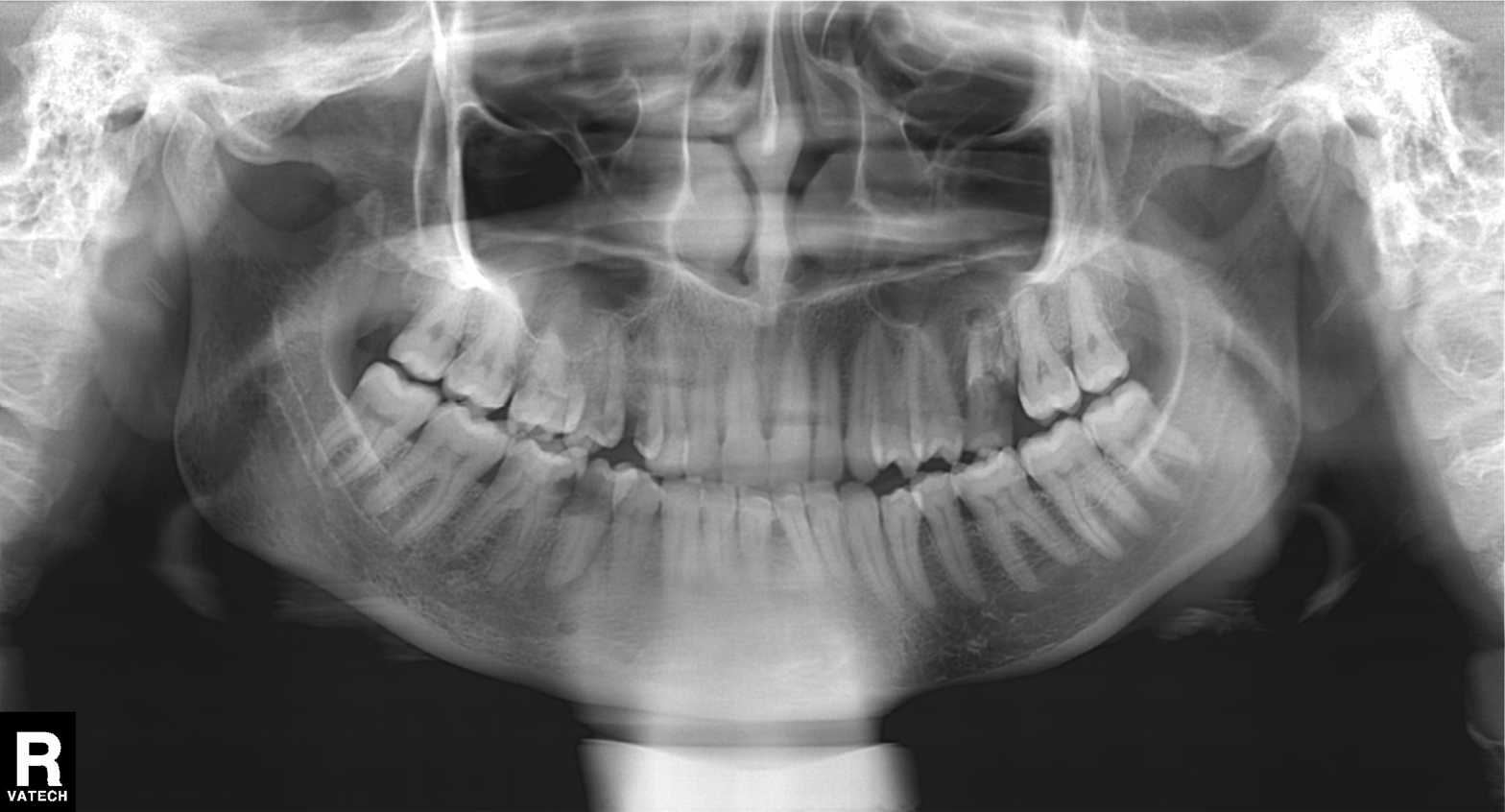
modality — panoramic dental radiograph (orthopantomogram); finding — alveolar bone loss.